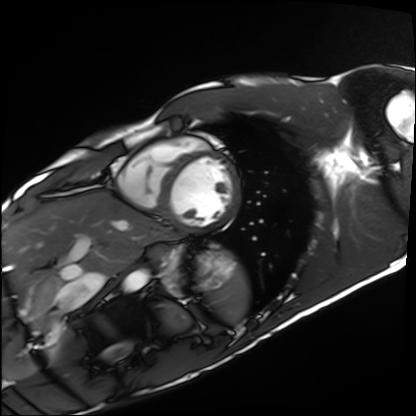
Summary:
Cardiac MRI. Subject group: healthy volunteer.